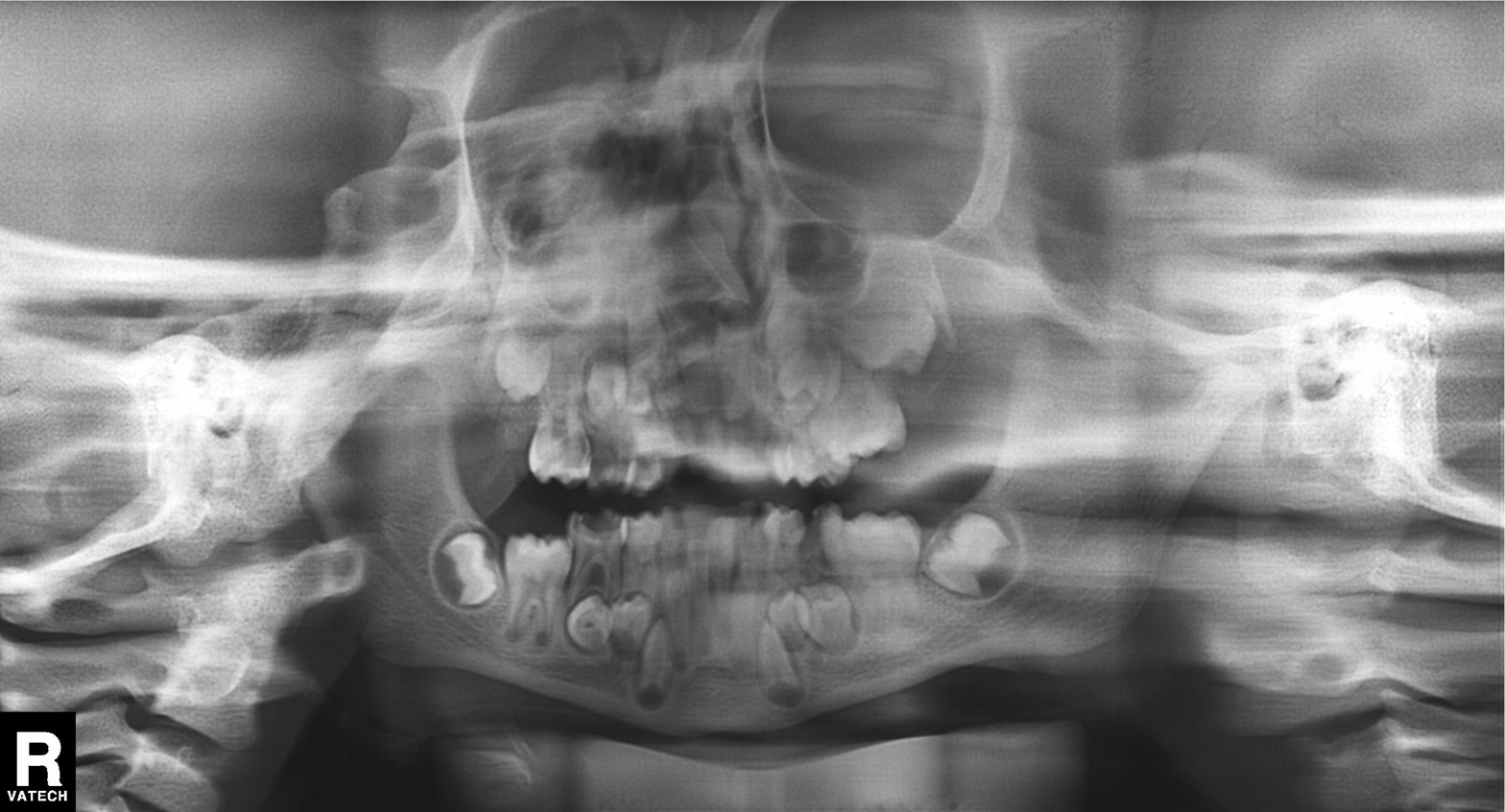
Panoramic dental radiograph (orthopantomogram). Finding: alveolar bone loss.